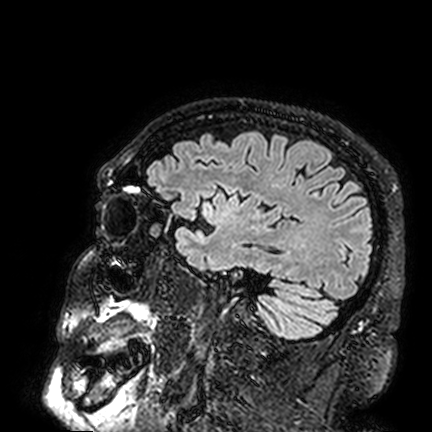
– modality · 3 Tesla brain MRI
– series · FLAIR VISTA
– study · ring-enhancing brain masses